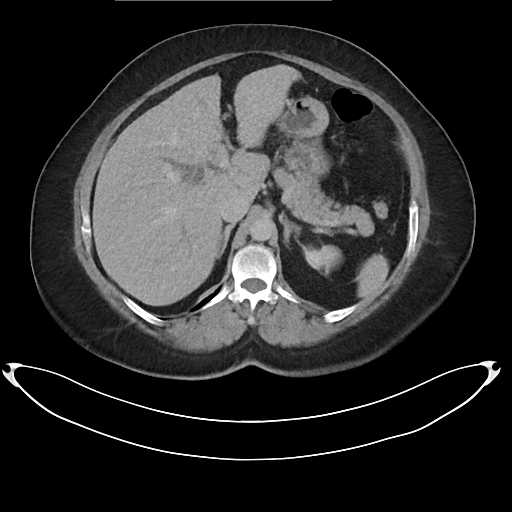
modality = multiphase abdominal CT, liver, delayed phase
patient = female, age 59